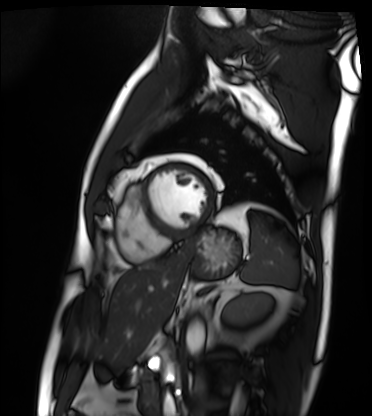
Cardiac MRI.
Subject group: patient.